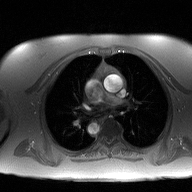
| field | value |
|---|---|
| modality | 2D phase-contrast cine MRI of the ascending aorta |